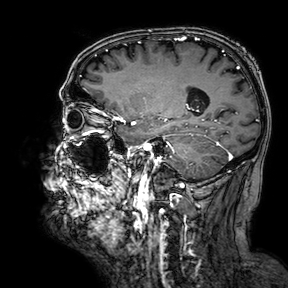
Q: What kind of scan is this?
A: 3 Tesla brain MRI.
Q: Series?
A: 3D T1-weighted turbo field echo with SENSE.
Study: ring-enhancing brain masses.